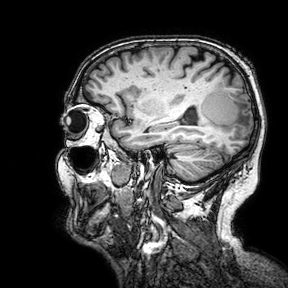
modality:
  type: brain MRI
  field_strength: 3T
series: 3D T1-weighted turbo field echo with SENSE
study_topic: ring-enhancing brain masses